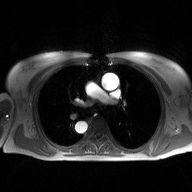
2D phase-contrast cine MRI of the ascending aorta, high-resolution GRAPPA acquisition.